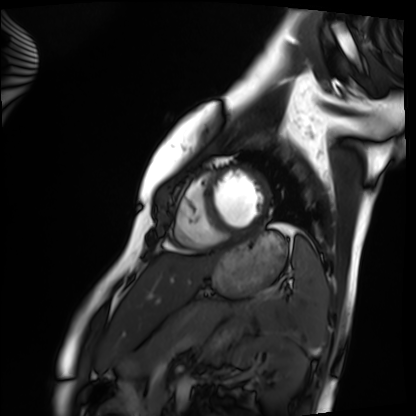
<scan>
<modality>cardiac MRI</modality>
<cohort>healthy volunteer</cohort>
</scan>